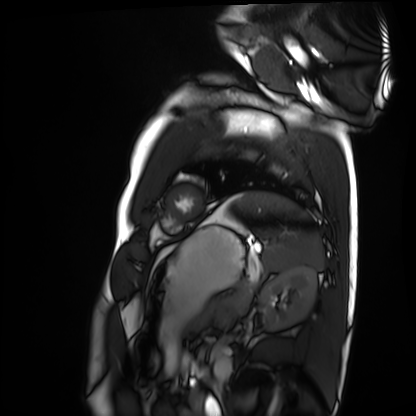
Cardiac MRI.
Subject group: healthy volunteer.